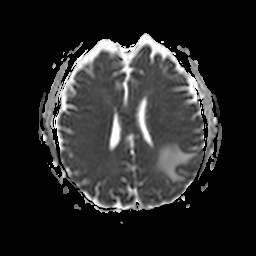
* modality · 3 Tesla brain MRI
* series · apparent diffusion coefficient (ADC) map
* study · ring-enhancing brain masses